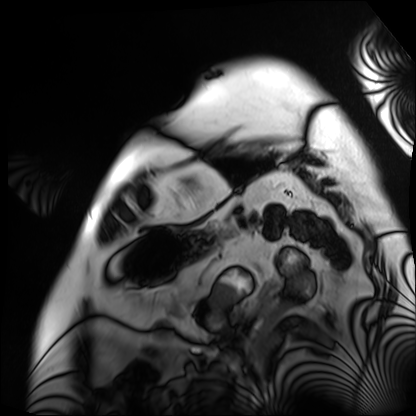
• modality: cardiac MRI
• subject group: patient